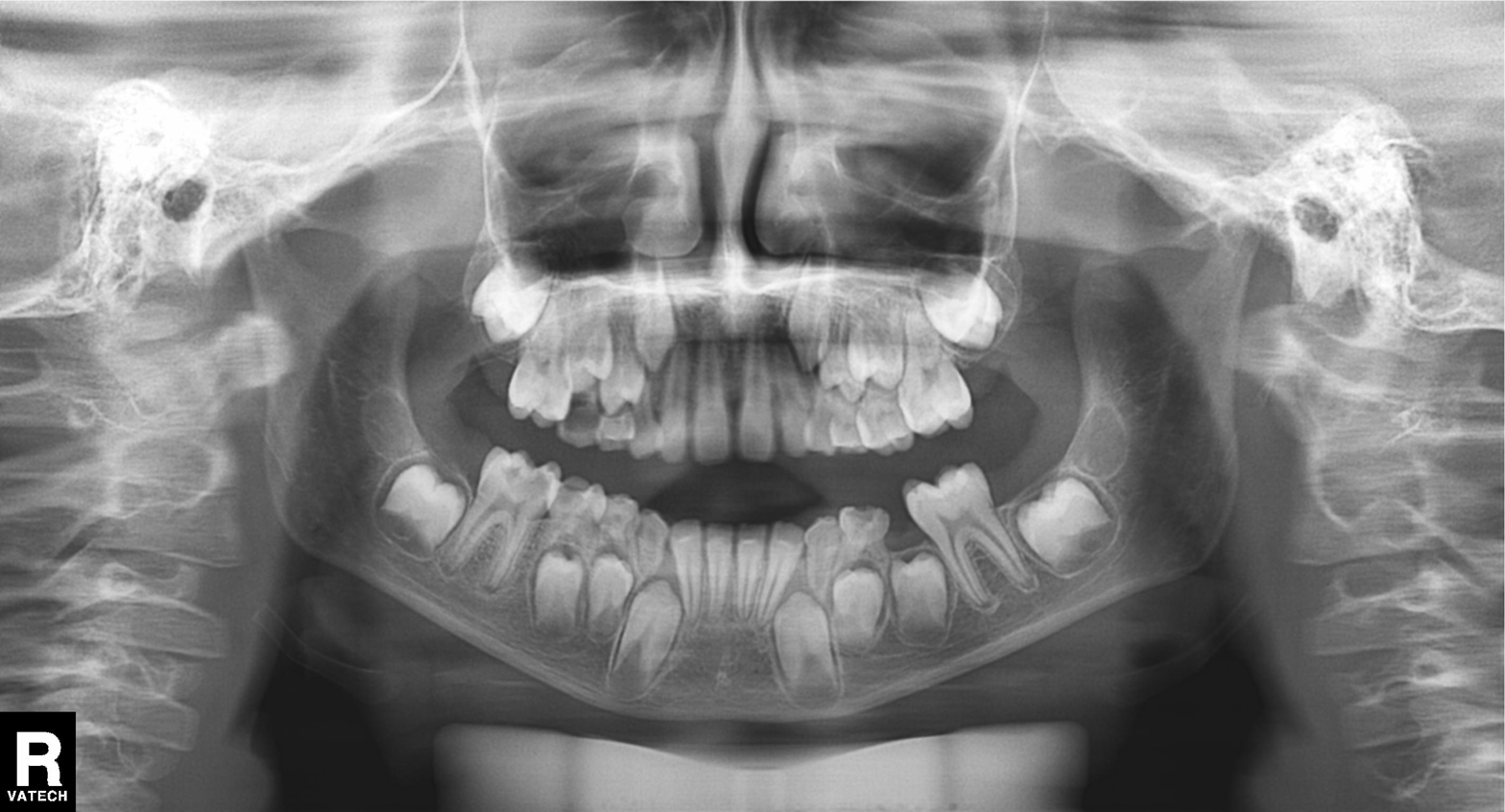
Panoramic dental radiograph (orthopantomogram). Finding: alveolar bone loss.